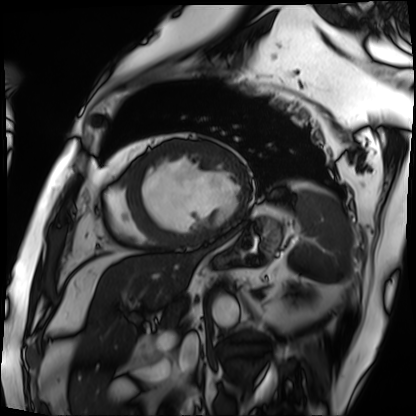
Cardiac MRI. Subject group: patient.